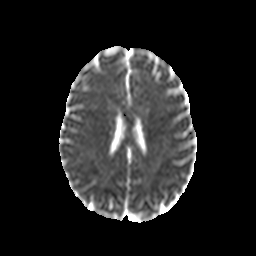
Clinical context:
3 Tesla brain MRI. Series: diffusion-weighted imaging with CLEAR. Study: ring-enhancing brain masses.